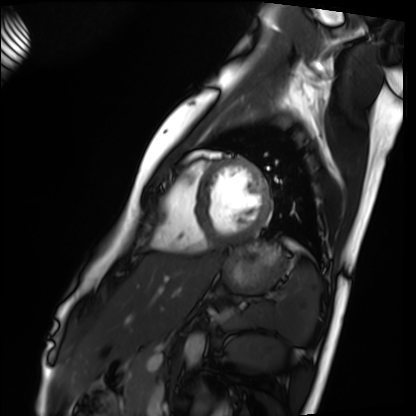
Case summary: Cardiac MRI. Subject group: healthy volunteer.